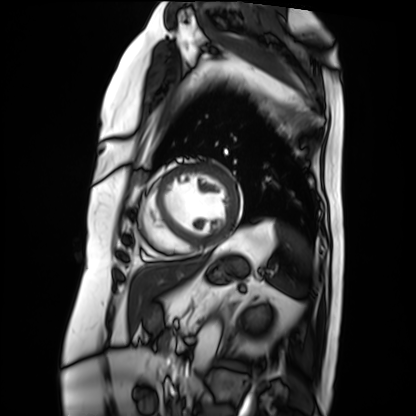
Summary:
Cardiac MRI. Subject group: patient.